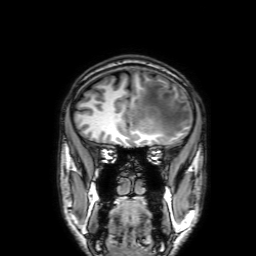
<scan>
  <modality>
    <type>brain MRI</type>
    <field_strength>3T</field_strength>
  </modality>
  <series>3D T1-weighted with SENSE</series>
  <study_topic>ring-enhancing brain masses</study_topic>
</scan>